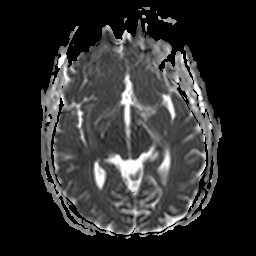
Clinical context:
3 Tesla brain MRI. Series: apparent diffusion coefficient (ADC) map. Study: ring-enhancing brain masses.